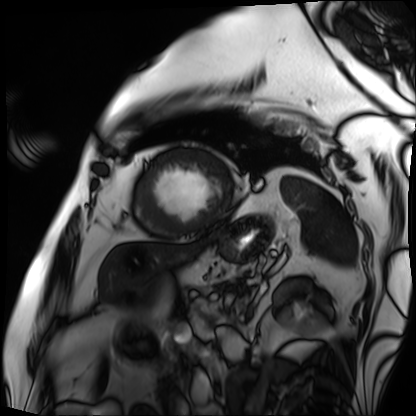
{
  "modality": "cardiac MRI",
  "cohort": "patient"
}